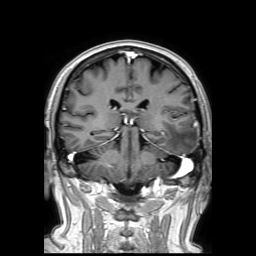
Case:
• modality · 3 Tesla brain MRI
• series · 3D T1-weighted TFE with SENSE
• study · ring-enhancing brain masses